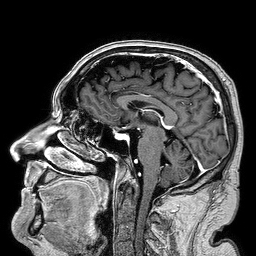
| field | value |
|---|---|
| modality | 3 Tesla brain MRI |
| series | 3D T1-weighted turbo field echo |
| study | ring-enhancing brain masses |